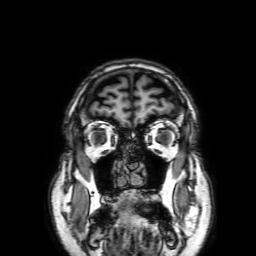
modality:
  type: brain MRI
  field_strength: 3T
series: 3D T1-weighted with SENSE
study_topic: ring-enhancing brain masses